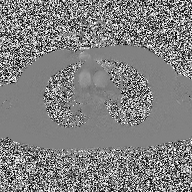
2D phase-contrast cine MRI of the ascending aorta, high-resolution GRAPPA acquisition.